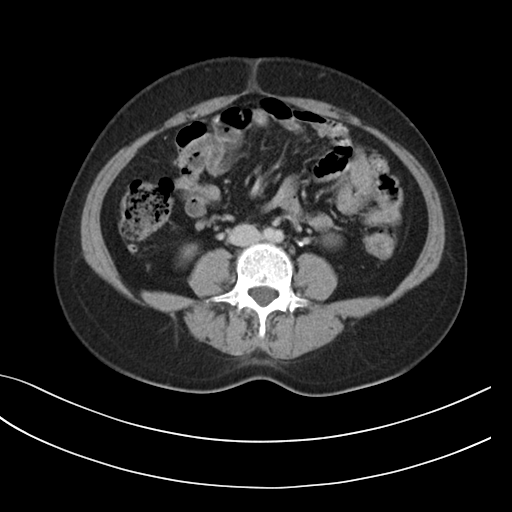
Multiphase abdominal CT, liver, delayed phase. Patient: female, age 44.